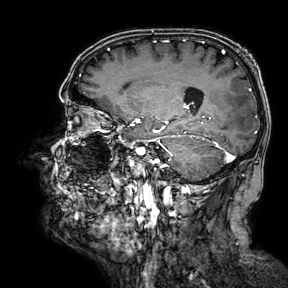
  modality:
    type: brain MRI
    field_strength: 3T
  series: 3D T1-weighted turbo field echo with SENSE
  study_topic: ring-enhancing brain masses